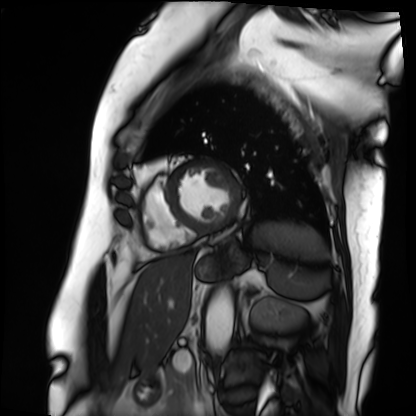
modality: cardiac MRI
cohort: patient